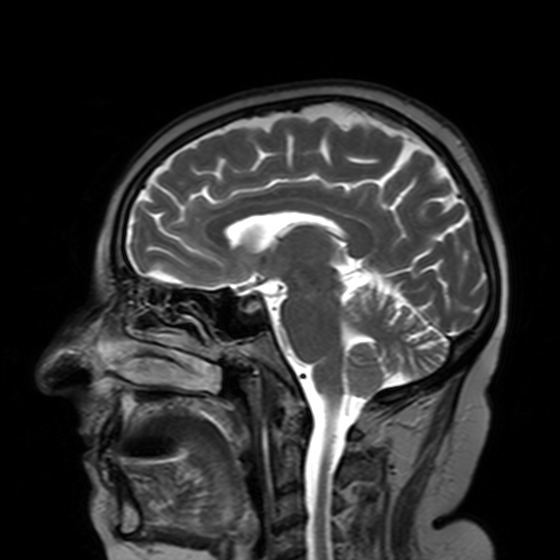
Summary: 3 Tesla brain MRI. Series: T2-weighted turbo spin echo with SENSE. Study: ring-enhancing brain masses.